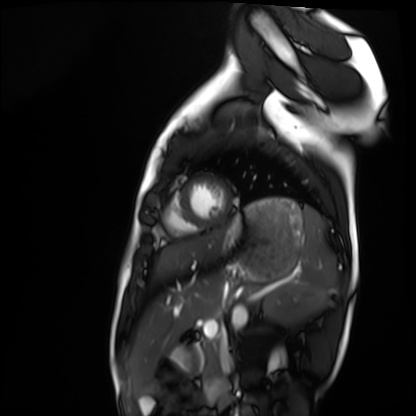
Summary: Cardiac MRI. Subject group: healthy volunteer.